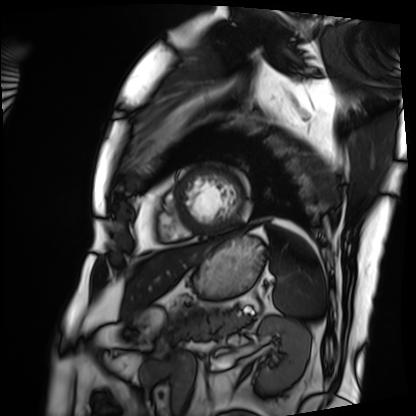
modality: cardiac MRI
cohort: patient